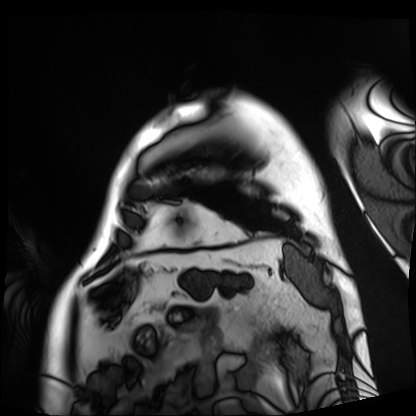
Q: What kind of scan is this?
A: Cardiac MRI.
Subject group: patient.